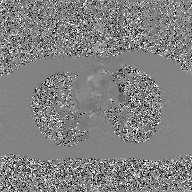
2D phase-contrast cine MRI of the ascending aorta, GAN super-resolution reconstruction.